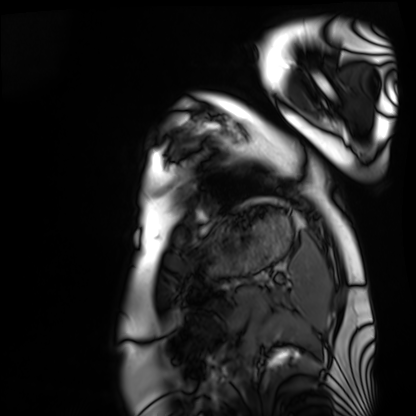
modality: cardiac MRI; subject group: healthy volunteer.